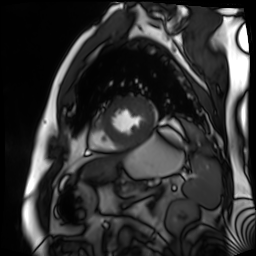
Case:
- modality — cardiac MR image of the myocardium
- subject cohort — cardiac patient